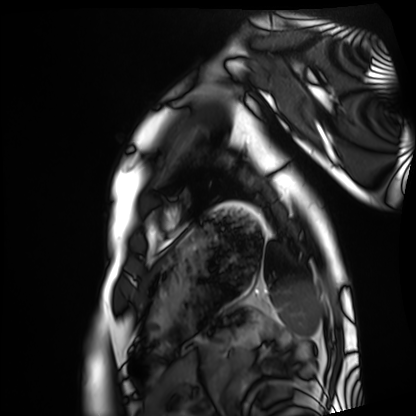
Case summary: Cardiac MRI. Subject group: healthy volunteer.